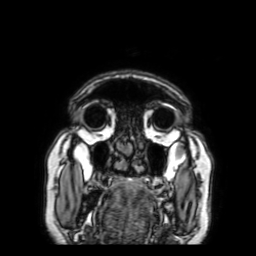
Case summary:
3 Tesla brain MRI. Series: 3D T1-weighted with SENSE. Study: ring-enhancing brain masses.